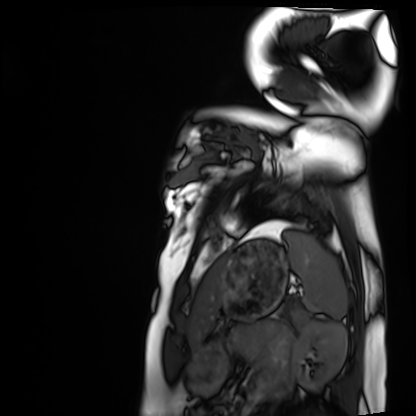
Cardiac MRI. Subject group: healthy volunteer.